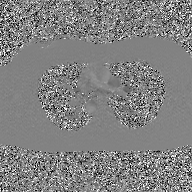
modality: 2D phase-contrast cine MRI of the ascending aorta, GAN super-resolution reconstruction.